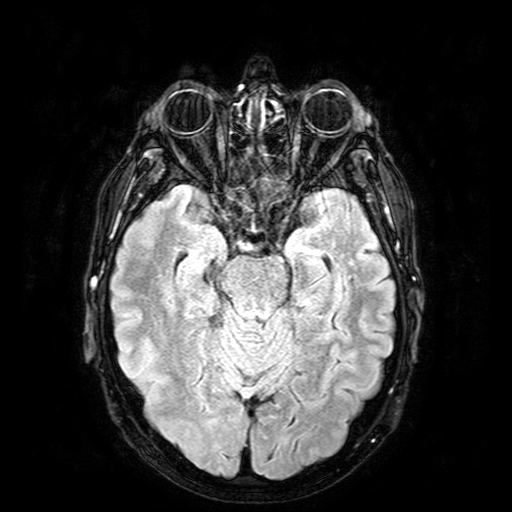
Case summary:
3 Tesla brain MRI. Study: ring-enhancing brain masses.